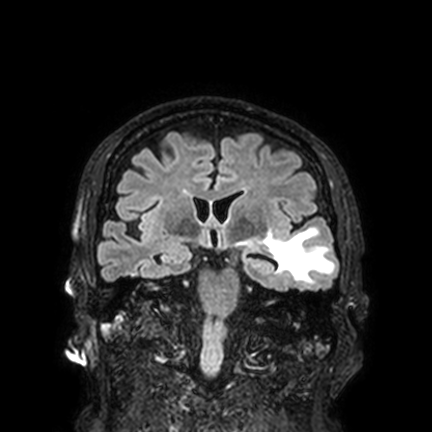
modality = 3 Tesla brain MRI | series = FLAIR VISTA with SENSE | study = ring-enhancing brain masses.